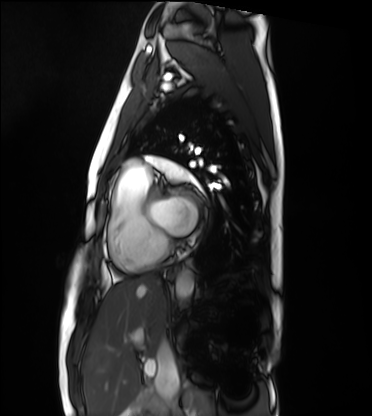
| field | value |
|---|---|
| modality | cardiac MRI |
| subject group | healthy volunteer |